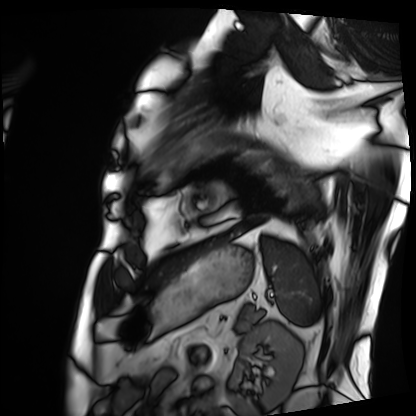
| field | value |
|---|---|
| modality | cardiac MRI |
| subject group | patient |